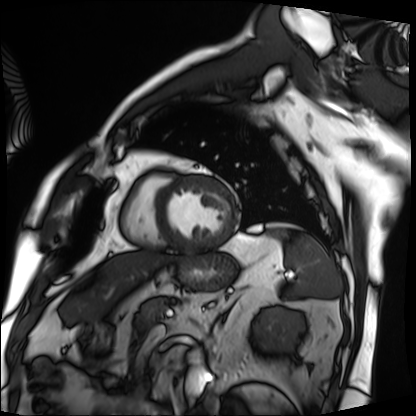
Q: What kind of scan is this?
A: Cardiac MRI.
Subject group: patient.